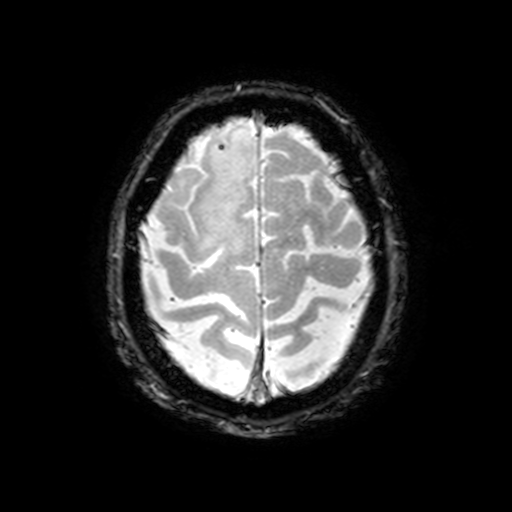
modality = 3 Tesla brain MRI; series = T2-weighted fast field echo with SENSE; study = ring-enhancing brain masses.